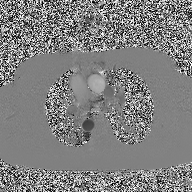
Clinical context:
2D phase-contrast cine MRI of the ascending aorta, high-resolution GRAPPA acquisition.